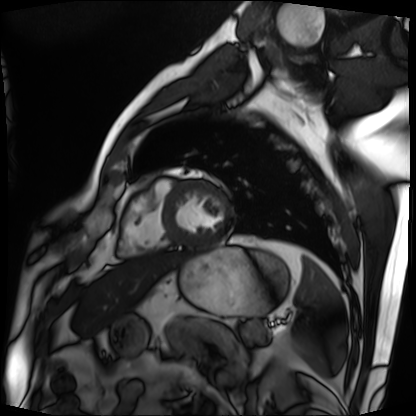
Cardiac MRI. Subject group: patient.